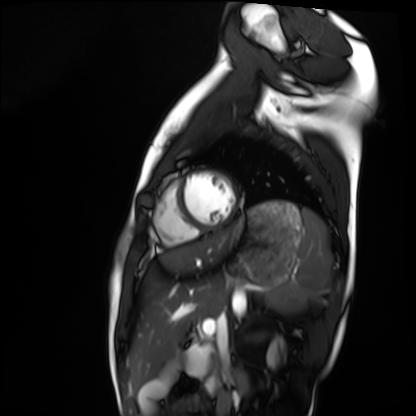
Cardiac MRI. Subject group: healthy volunteer.